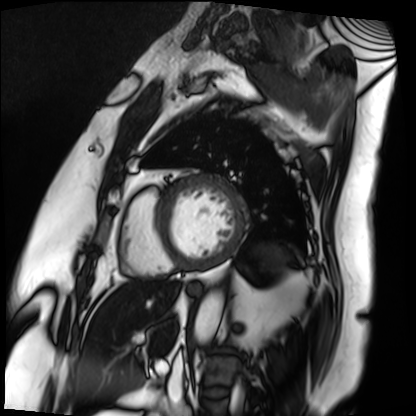
Q: What kind of scan is this?
A: Cardiac MRI.
Subject group: patient.